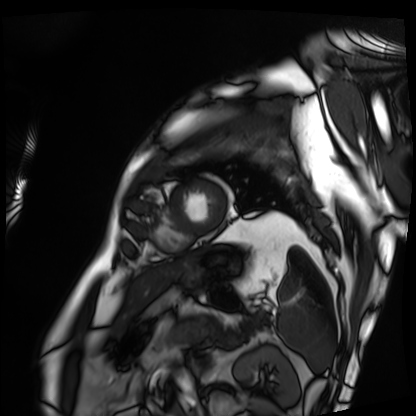
– modality: cardiac MRI
– subject group: patient